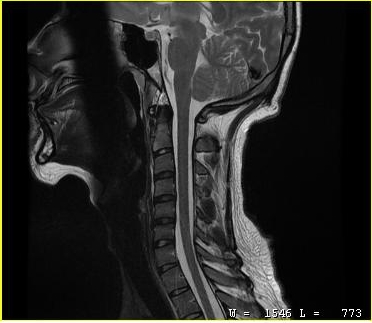
MRI of the cervical spine.
Study: cervical spondylosis.